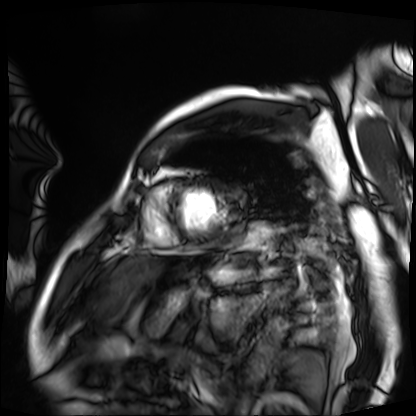
Summary:
Cardiac MRI. Subject group: patient.